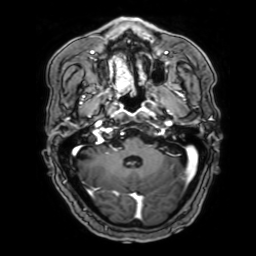
3 Tesla brain MRI. Series: 3D T1-weighted with SENSE. Study: ring-enhancing brain masses.